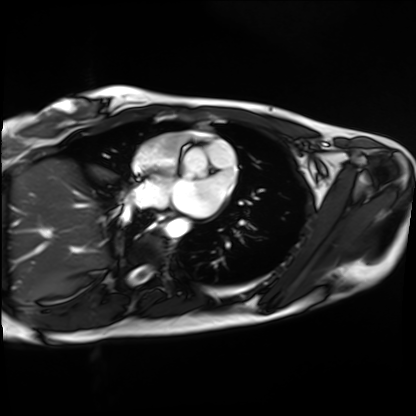
Cardiac MRI.
Subject group: healthy volunteer.